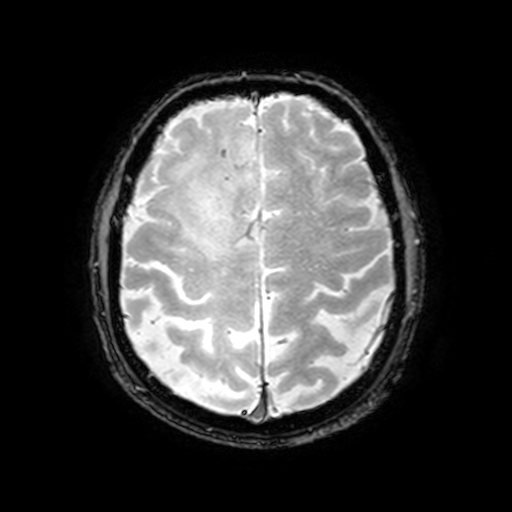
{
  "modality": {
    "type": "brain MRI",
    "field_strength": "3T"
  },
  "series": "T2-weighted fast field echo with SENSE",
  "study_topic": "ring-enhancing brain masses"
}